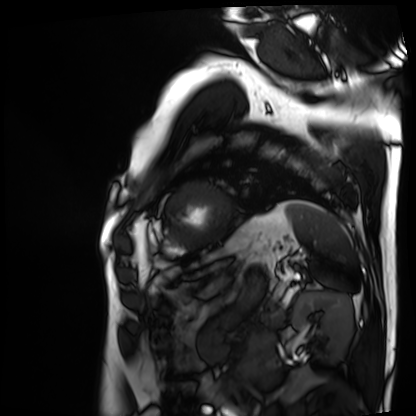
Summary: Cardiac MRI. Subject group: patient.